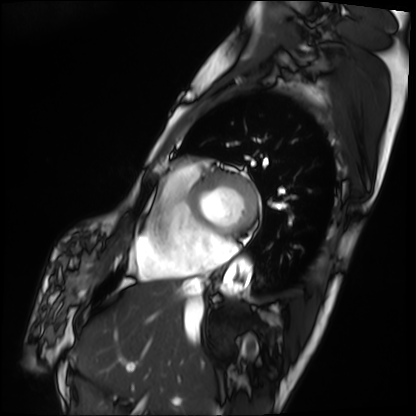
{"modality": "cardiac MRI", "cohort": "patient"}